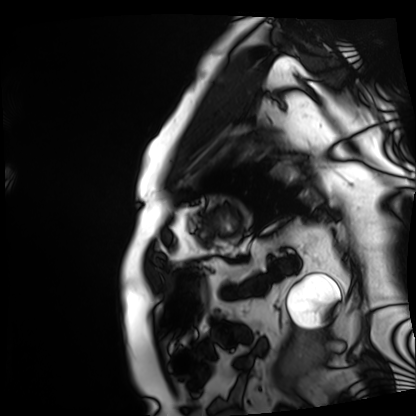
modality = cardiac MRI | subject group = patient.